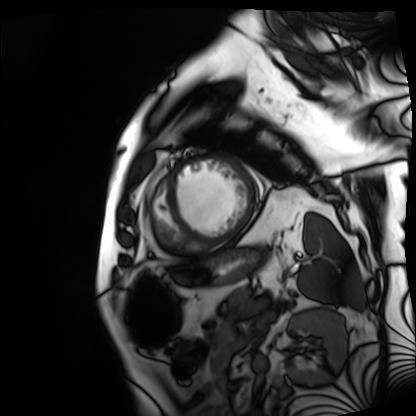
Cardiac MRI.
Subject group: patient.